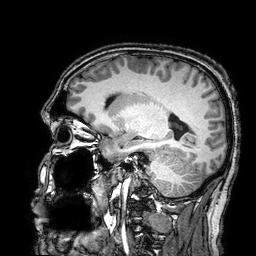
modality=3 Tesla brain MRI
series=3D T1-weighted turbo field echo with SENSE
study=ring-enhancing brain masses